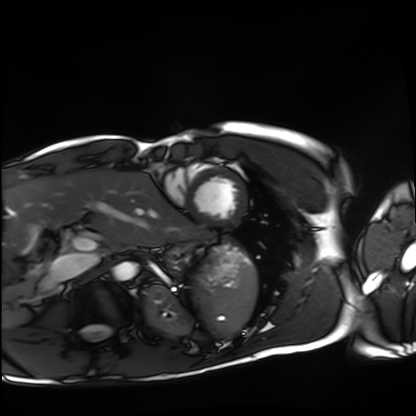
- modality — cardiac MRI
- subject group — healthy volunteer